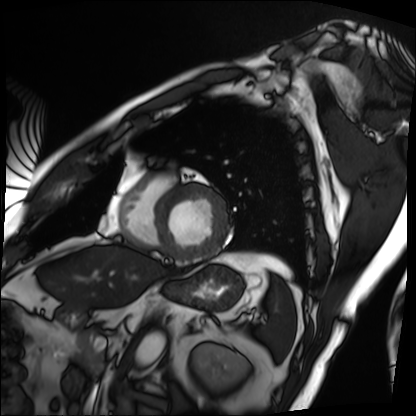
- modality · cardiac MRI
- subject group · patient